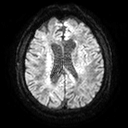
3 Tesla brain MRI.
Series: diffusion tensor imaging (medium iso).
Study: ring-enhancing brain masses.